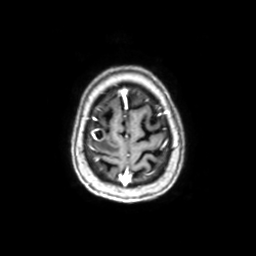
Q: What kind of scan is this?
A: 3 Tesla brain MRI.
Q: Series?
A: Axial with contrast.
Study: ring-enhancing brain masses.